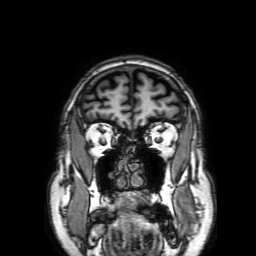
Q: What kind of scan is this?
A: 3 Tesla brain MRI.
Q: Series?
A: 3D T1-weighted with SENSE.
Study: ring-enhancing brain masses.